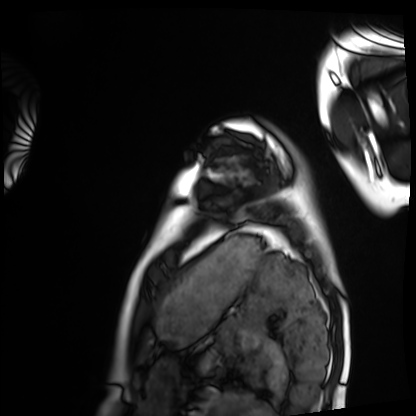
Cardiac MRI. Subject group: healthy volunteer.